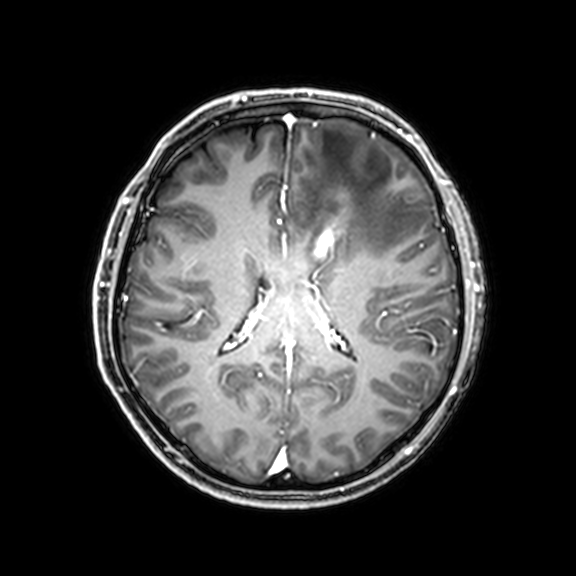
3 Tesla brain MRI. Study: ring-enhancing brain masses.